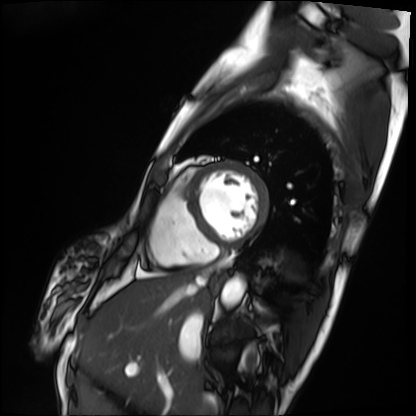
Cardiac MRI. Subject group: patient.